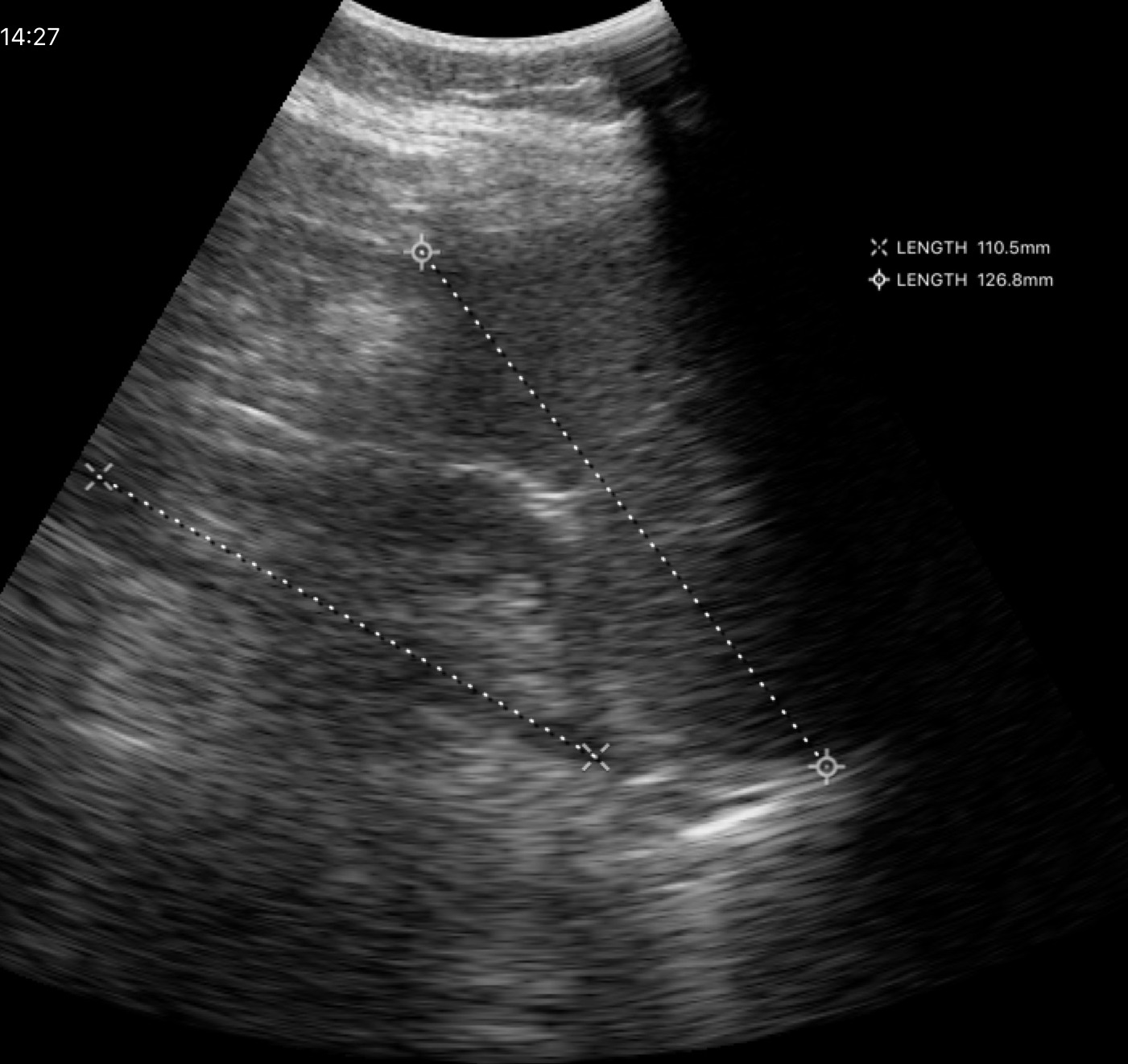
Genitourinary ultrasound.